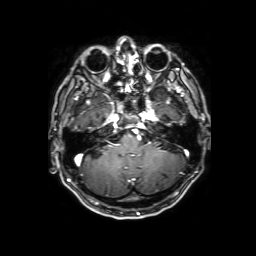
modality = 3 Tesla brain MRI
series = 3D T1-weighted with SENSE
study = ring-enhancing brain masses